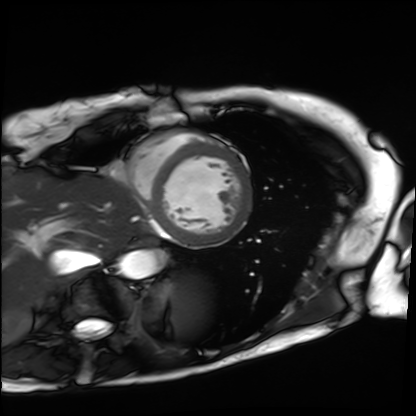
Cardiac MRI. Subject group: patient.